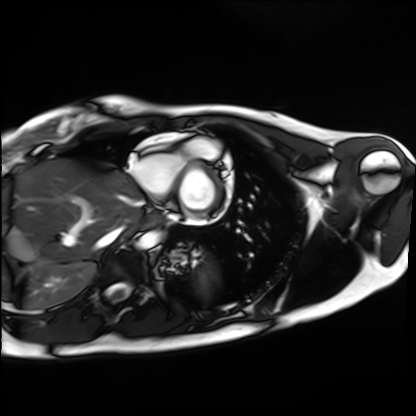
Case:
* modality · cardiac MRI
* subject group · healthy volunteer